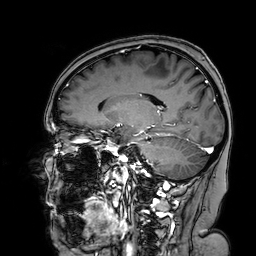
{"modality": {"type": "brain MRI", "field_strength": "3T"}, "series": "3D T1-weighted turbo field echo with SENSE", "study_topic": "ring-enhancing brain masses"}